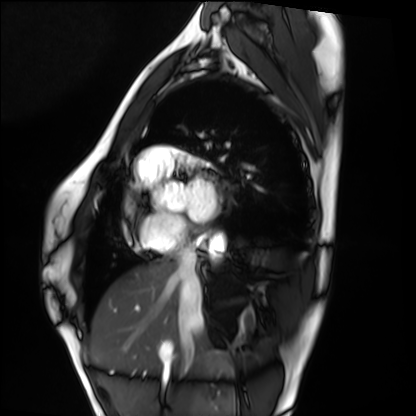
Q: What kind of scan is this?
A: Cardiac MRI.
Subject group: healthy volunteer.